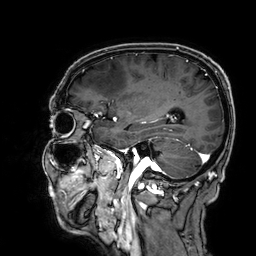
{"modality": {"type": "brain MRI", "field_strength": "3T"}, "series": "3D T1-weighted", "study_topic": "ring-enhancing brain masses"}